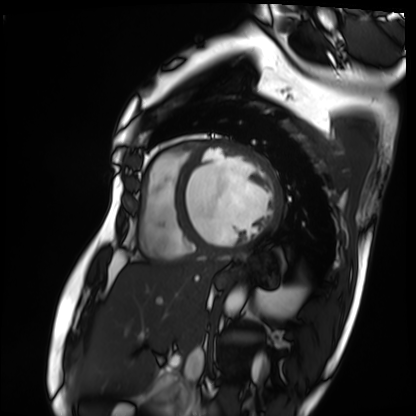
Cardiac MRI. Subject group: patient.